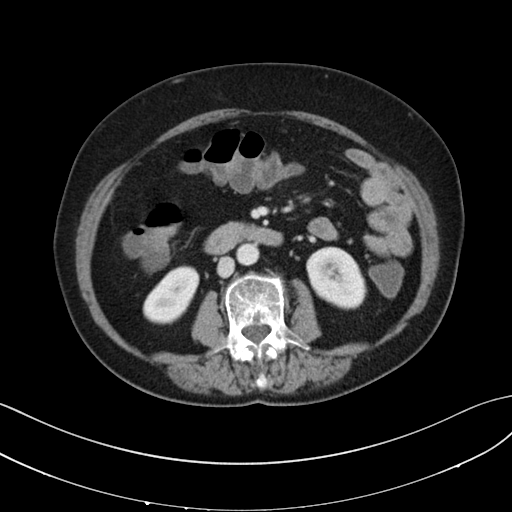
modality:
  type: multiphase abdominal CT
  region: liver
  phase: portal venous
patient:
  sex: female
  age: 72